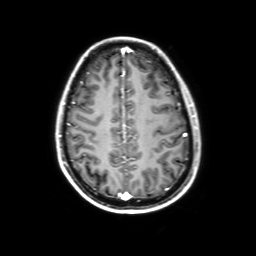
{
  "modality": {
    "type": "brain MRI",
    "field_strength": "3T"
  },
  "series": "3D T1-weighted with SENSE",
  "study_topic": "ring-enhancing brain masses"
}